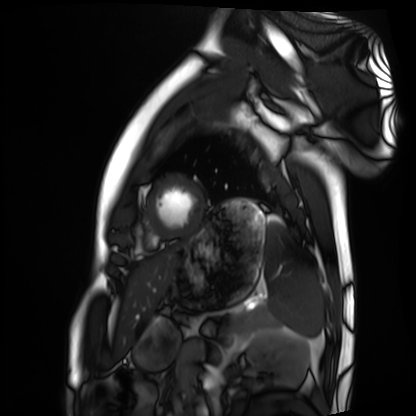
  modality: cardiac MRI
  cohort: healthy volunteer